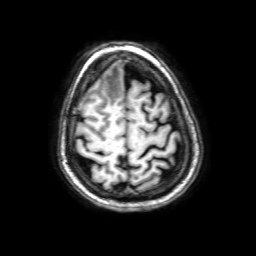
3 Tesla brain MRI.
Series: 3D T1-weighted with SENSE.
Study: ring-enhancing brain masses.